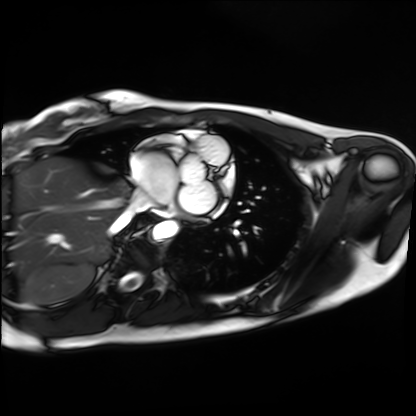
modality: cardiac MRI; subject group: healthy volunteer.